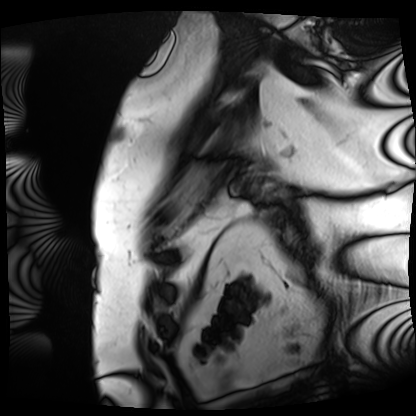
Cardiac MRI.
Subject group: patient.